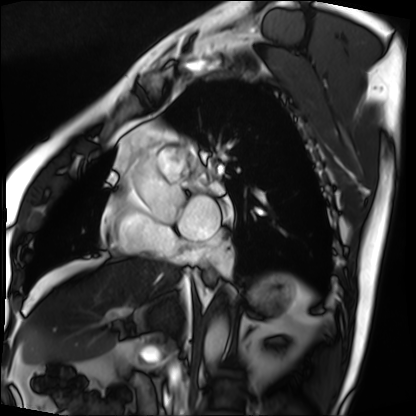
Cardiac MRI.
Subject group: patient.